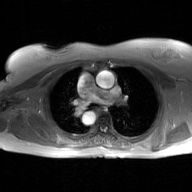
Summary: 2D phase-contrast cine MRI of the ascending aorta, GAN super-resolution reconstruction.